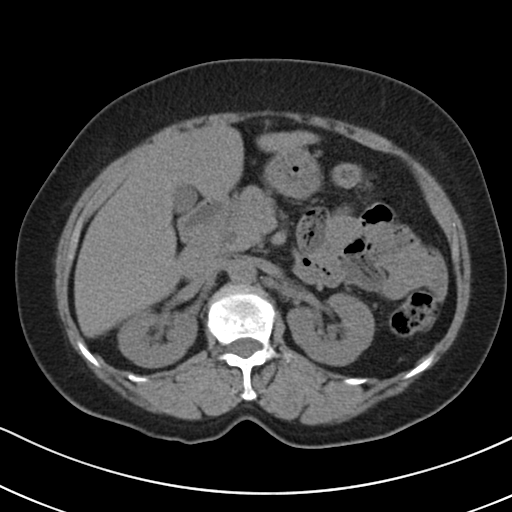
Multiphase abdominal CT, liver, non-contrast phase.
Patient: female, age 70.